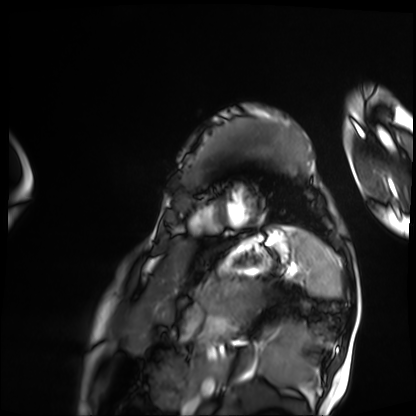
{"modality": "cardiac MRI", "cohort": "patient"}